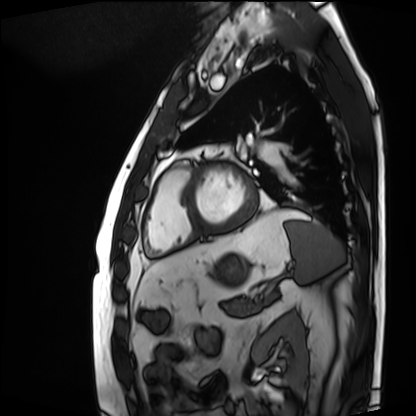
{
  "modality": "cardiac MRI",
  "cohort": "patient"
}